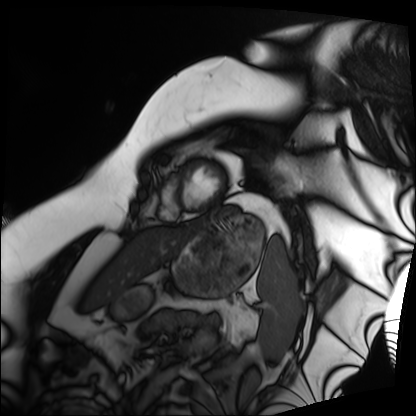
{"modality": "cardiac MRI", "cohort": "patient"}